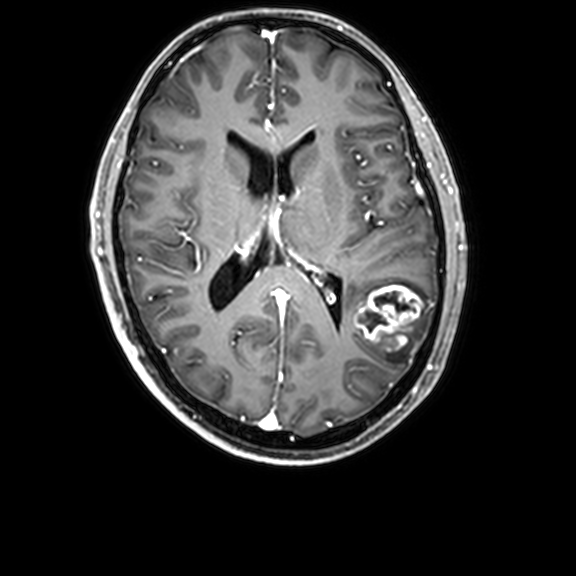
Summary:
3 Tesla brain MRI. Series: 3D T1-weighted with CLEAR. Study: ring-enhancing brain masses.